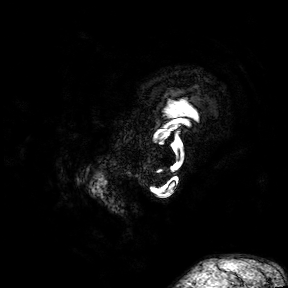
modality = 3 Tesla brain MRI; series = 3D T1-weighted turbo field echo with SENSE; study = ring-enhancing brain masses.